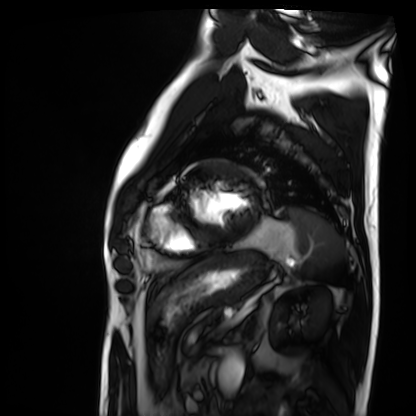
Cardiac MRI. Subject group: patient.